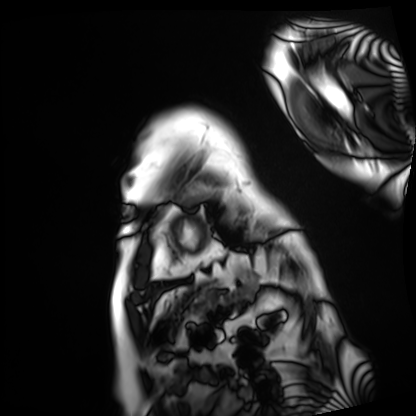
modality=cardiac MRI; subject group=patient.